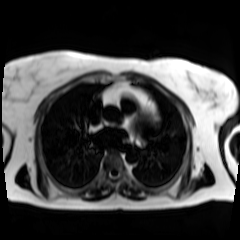
  modality: chemical-shift-encoded cardiac MRI